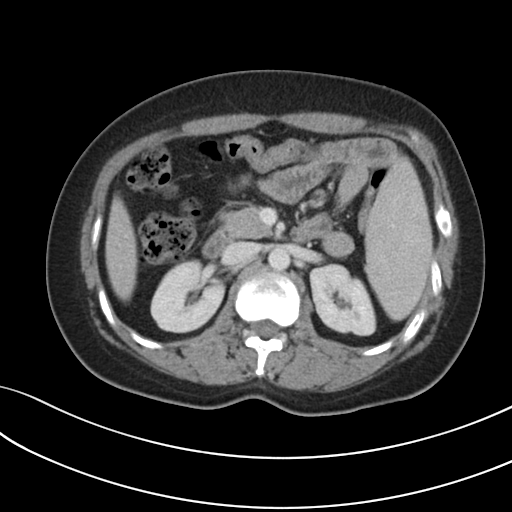
Q: What kind of scan is this?
A: Multiphase abdominal CT, liver, portal venous phase.
Q: Patient?
A: Female, age 34.
Q: History?
A: Prior chemotherapy.